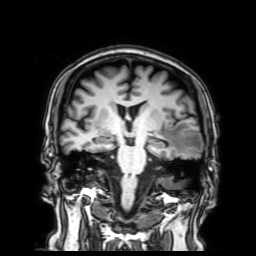
<case>
<modality>
  <type>brain MRI</type>
  <field_strength>3T</field_strength>
</modality>
<series>3D T1-weighted with SENSE</series>
<study_topic>ring-enhancing brain masses</study_topic>
</case>